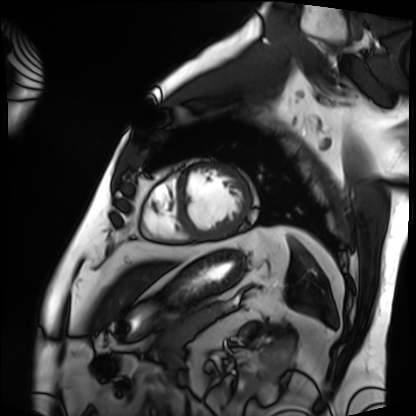
{"modality": "cardiac MRI", "cohort": "patient"}